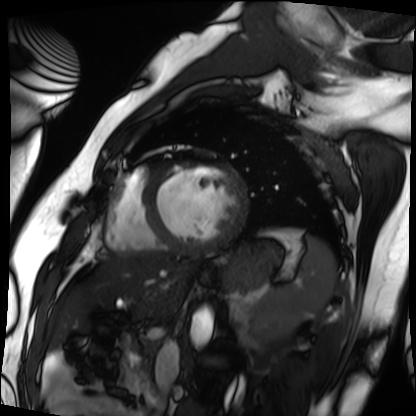
Case:
* modality: cardiac MRI
* subject group: patient